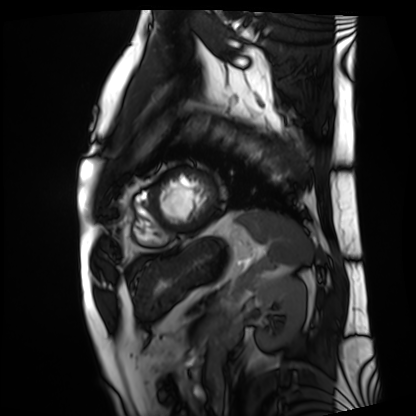
| field | value |
|---|---|
| modality | cardiac MRI |
| subject group | patient |